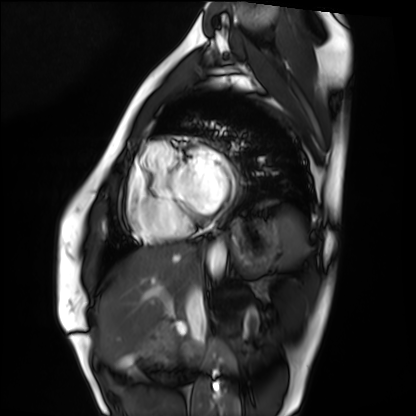
<scan>
  <modality>cardiac MRI</modality>
  <cohort>healthy volunteer</cohort>
</scan>